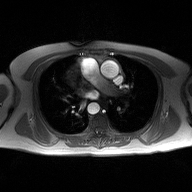
{"modality": {"type": "2D phase-contrast cine MRI", "region": "ascending aorta", "reconstruction": "high-resolution GRAPPA acquisition"}}